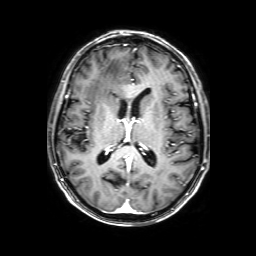
modality: 3 Tesla brain MRI | series: 3D T1-weighted with SENSE | study: ring-enhancing brain masses.